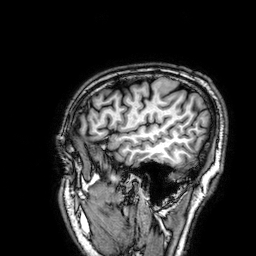
3 Tesla brain MRI.
Study: ring-enhancing brain masses.